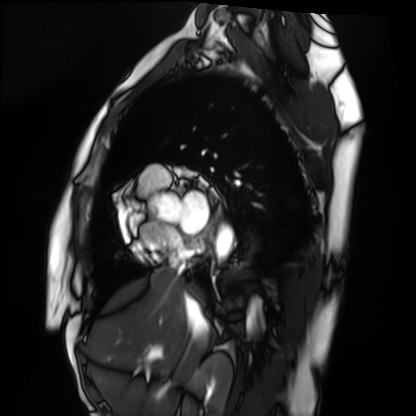
Case summary:
Cardiac MRI. Subject group: healthy volunteer.